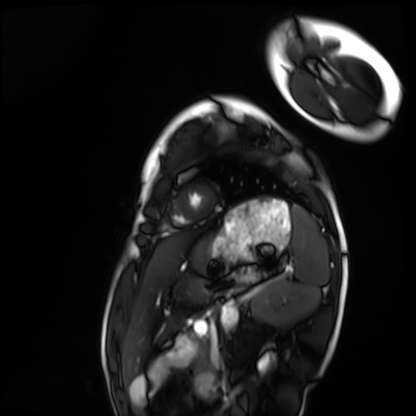
* modality · cardiac MRI
* subject group · healthy volunteer